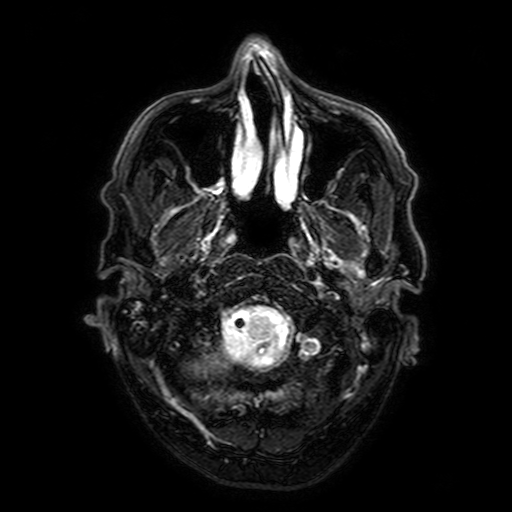
Summary: 3 Tesla brain MRI. Series: FLAIR with SPAIR, 3 mm. Study: ring-enhancing brain masses.